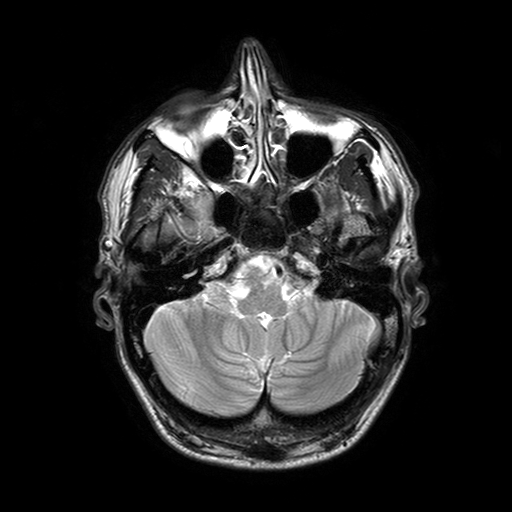
3 Tesla brain MRI. Series: T2-weighted turbo spin echo with SENSE. Study: ring-enhancing brain masses.